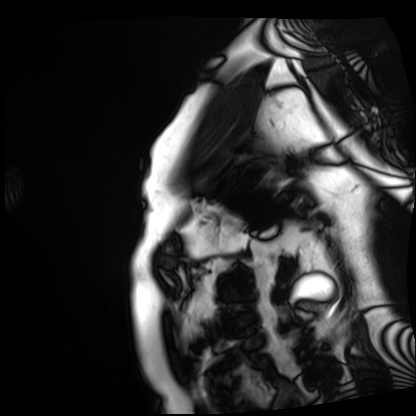
<scan>
  <modality>cardiac MRI</modality>
  <cohort>patient</cohort>
</scan>